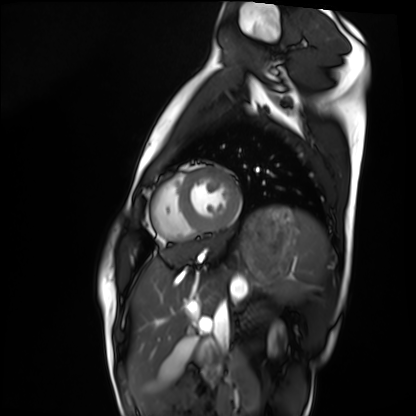
Cardiac MRI.
Subject group: healthy volunteer.